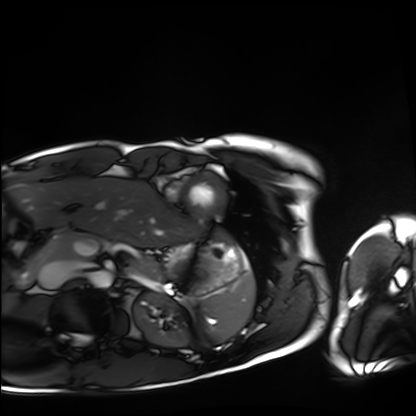
  modality: cardiac MRI
  cohort: healthy volunteer